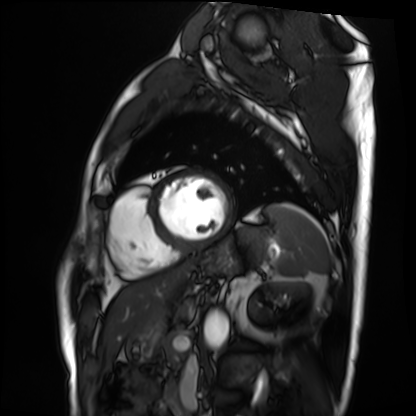
Cardiac MRI. Subject group: patient.